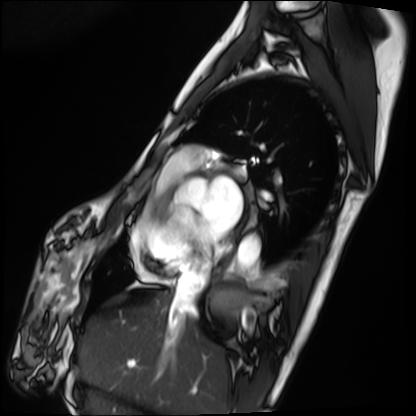
Summary:
Cardiac MRI. Subject group: patient.